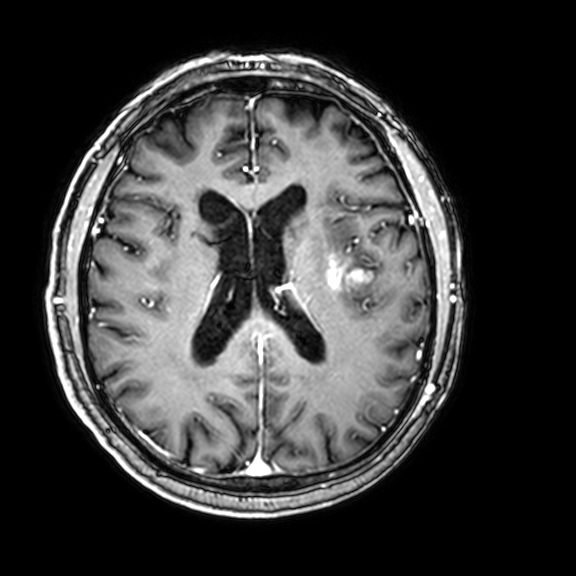
modality: 3 Tesla brain MRI | series: 3D T1-weighted with CLEAR | study: ring-enhancing brain masses.